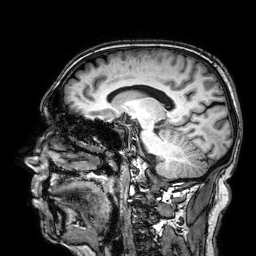
modality = 3 Tesla brain MRI; series = 3D T1-weighted; study = ring-enhancing brain masses.